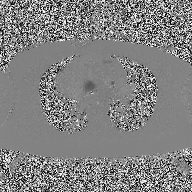
2D phase-contrast cine MRI of the ascending aorta, high-resolution GRAPPA acquisition.